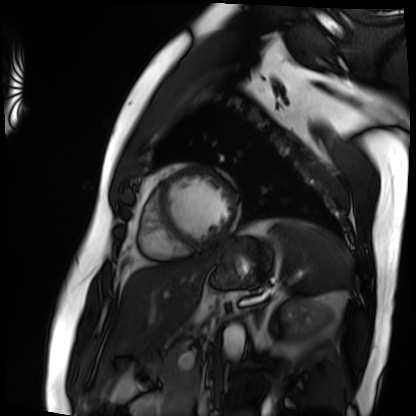
Cardiac MRI.
Subject group: patient.